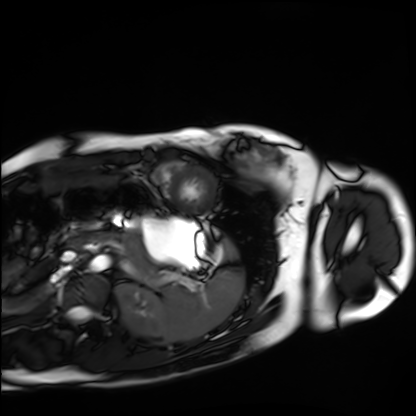
Case summary:
Cardiac MRI. Subject group: healthy volunteer.